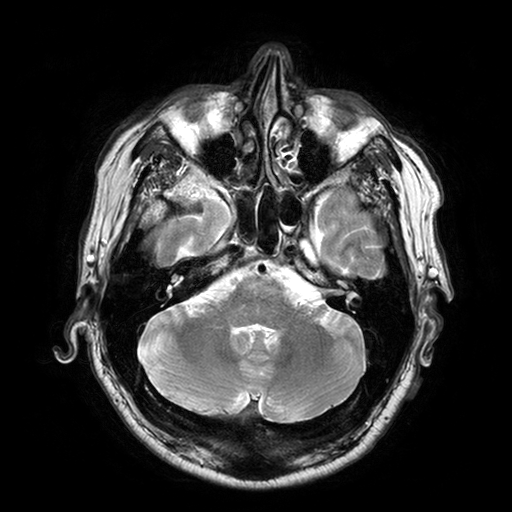
{
  "modality": {
    "type": "brain MRI",
    "field_strength": "3T"
  },
  "study_topic": "ring-enhancing brain masses"
}